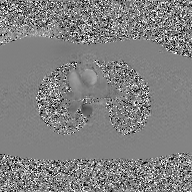
modality = 2D phase-contrast cine MRI of the ascending aorta, GAN super-resolution reconstruction.